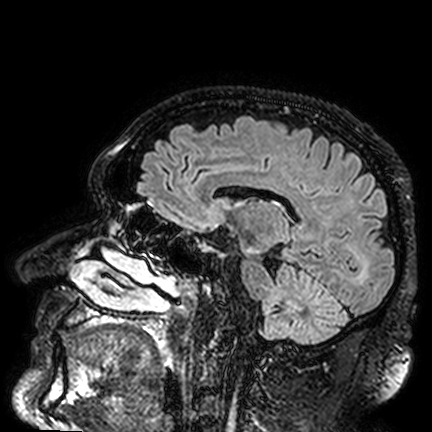
<scan>
  <modality>
    <type>brain MRI</type>
    <field_strength>3T</field_strength>
  </modality>
  <series>FLAIR VISTA</series>
  <study_topic>ring-enhancing brain masses</study_topic>
</scan>